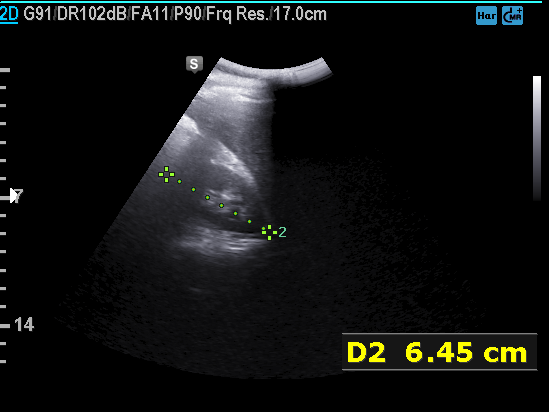
modality = genitourinary ultrasound